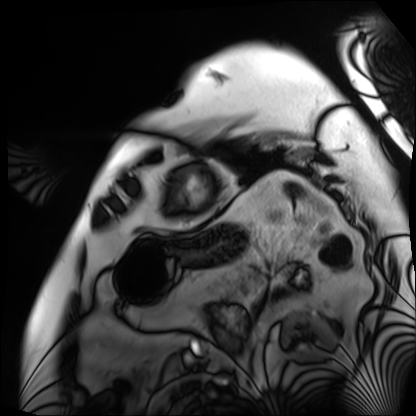
– modality — cardiac MRI
– subject group — patient